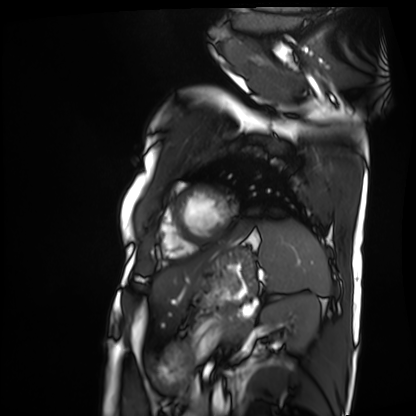
Cardiac MRI. Subject group: patient.